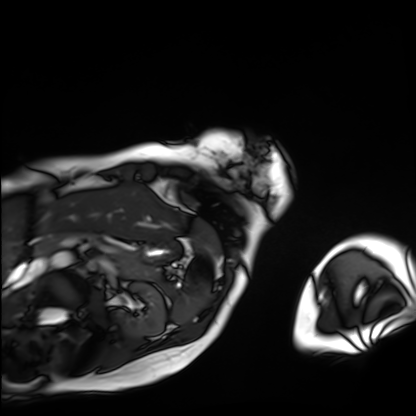
Summary: Cardiac MRI. Subject group: patient.